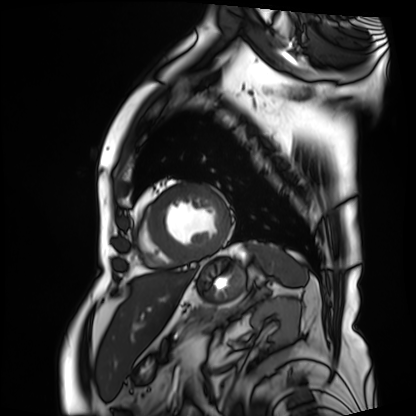
Cardiac MRI. Subject group: patient.